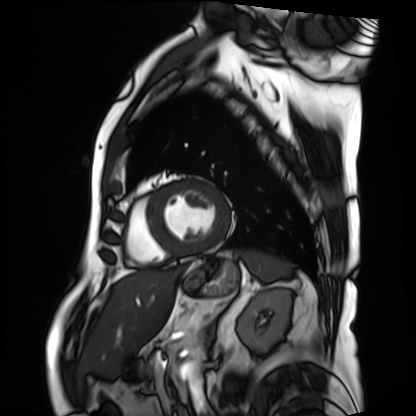
Cardiac MRI. Subject group: patient.